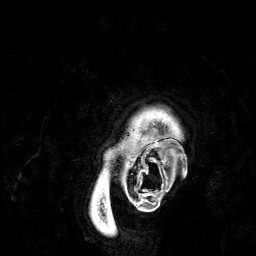
modality:
  type: brain MRI
  field_strength: 3T
series: 3D T1-weighted
study_topic: ring-enhancing brain masses